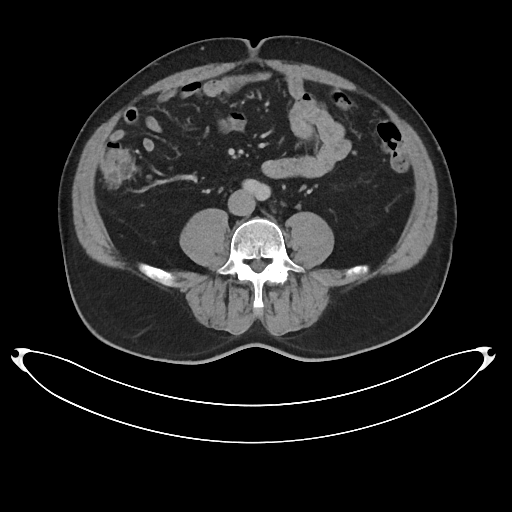
modality: multiphase abdominal CT, liver, portal venous phase
patient: male, age 53
history: cirrhosis, viral hepatitis